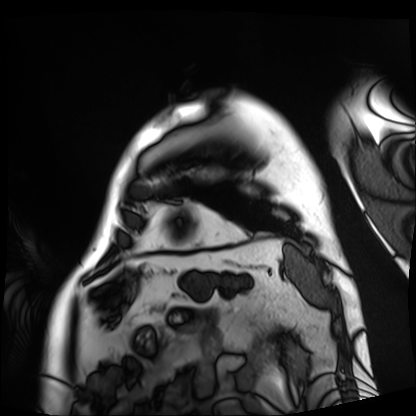
– modality — cardiac MRI
– subject group — patient